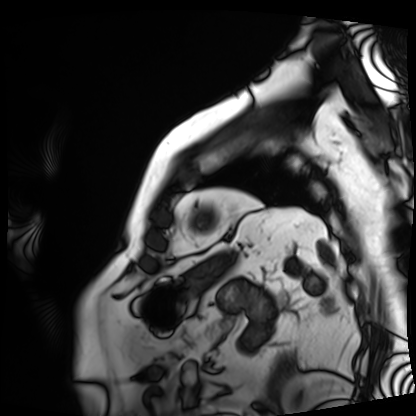
Clinical context: Cardiac MRI. Subject group: patient.